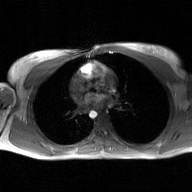
Case:
– modality: 2D phase-contrast cine MRI of the ascending aorta, GAN super-resolution reconstruction